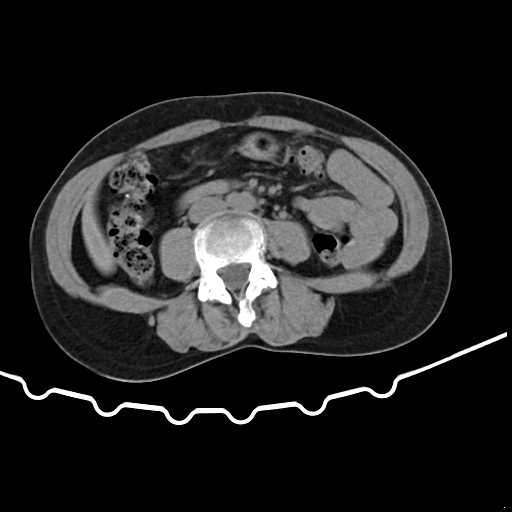
{"modality": {"type": "multiphase abdominal CT", "region": "liver", "phase": "non-contrast"}, "patient": {"sex": "female", "age": 48}}